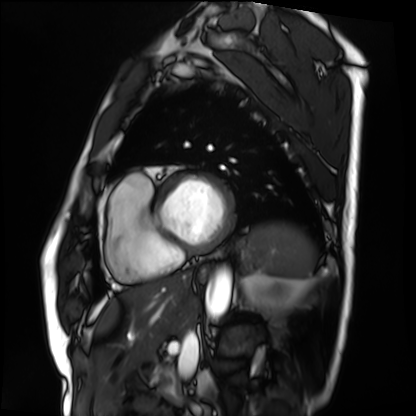
– modality — cardiac MRI
– subject group — patient